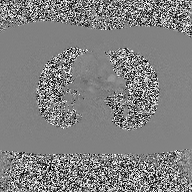
modality = 2D phase-contrast cine MRI of the ascending aorta